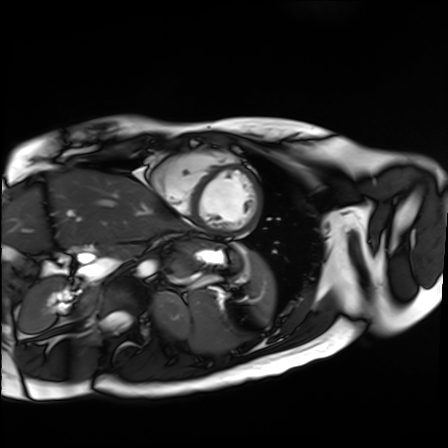
* modality — cardiac MR image of the myocardium
* subject cohort — healthy volunteer